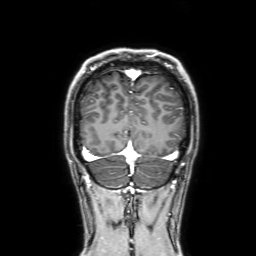
- modality: 3 Tesla brain MRI
- series: 3D T1-weighted with SENSE
- study: ring-enhancing brain masses